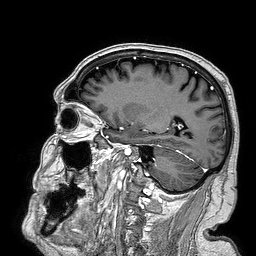
3 Tesla brain MRI.
Study: ring-enhancing brain masses.